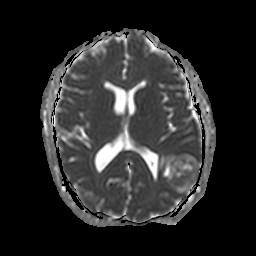
3 Tesla brain MRI.
Study: ring-enhancing brain masses.